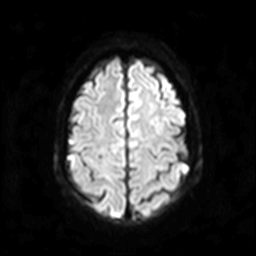
Q: What kind of scan is this?
A: 3 Tesla brain MRI.
Q: Series?
A: Diffusion-weighted imaging.
Study: ring-enhancing brain masses.